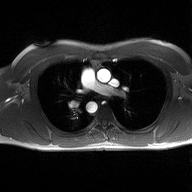
Summary:
2D phase-contrast cine MRI of the ascending aorta, high-resolution GRAPPA acquisition.